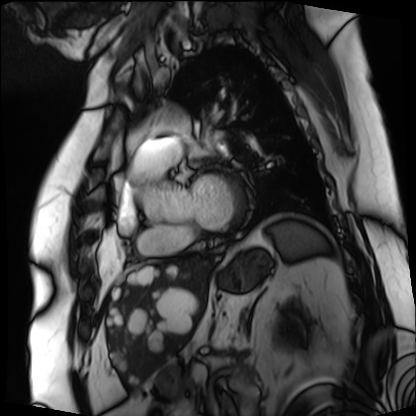
Cardiac MRI. Subject group: patient.